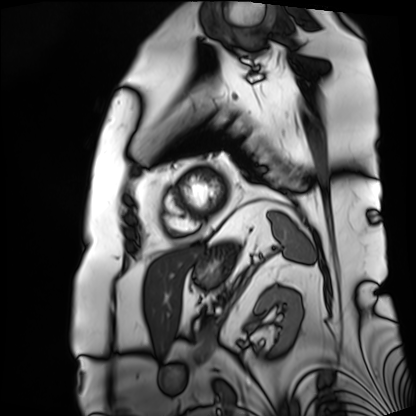
modality=cardiac MRI
subject group=patient